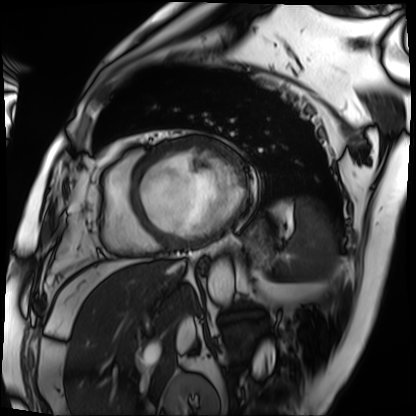
modality — cardiac MRI
subject group — patient